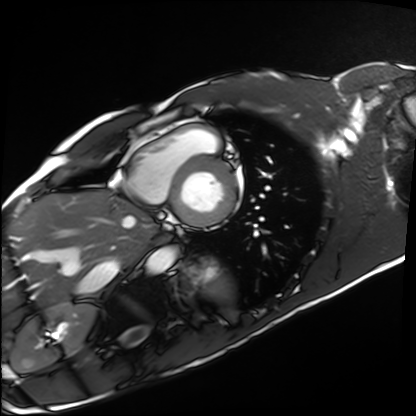
{"modality": "cardiac MRI", "cohort": "healthy volunteer"}